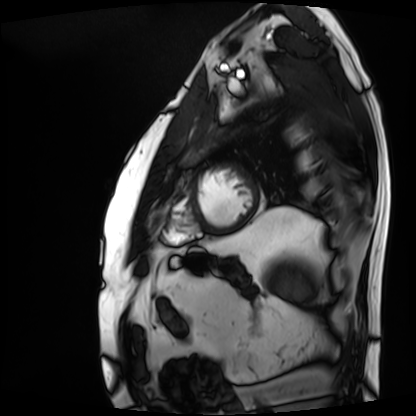
Cardiac MRI. Subject group: patient.